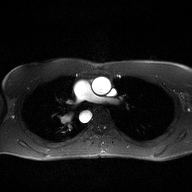
{"modality": {"type": "2D phase-contrast cine MRI", "region": "ascending aorta", "reconstruction": "high-resolution GRAPPA acquisition"}}